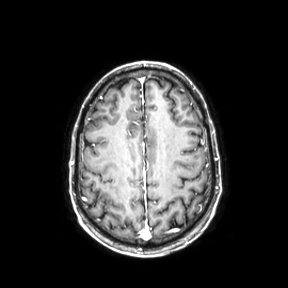
3 Tesla brain MRI. Series: axial. Study: ring-enhancing brain masses.